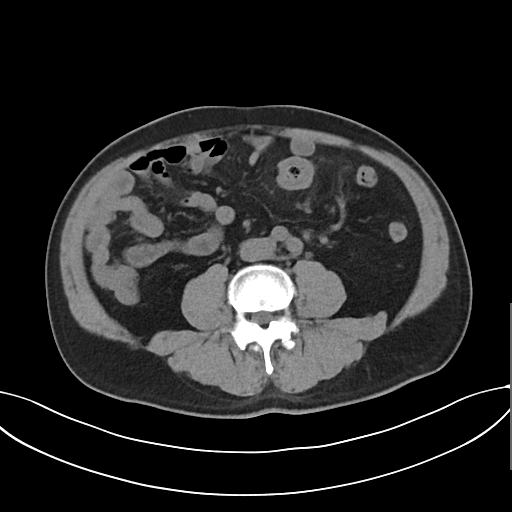
| field | value |
|---|---|
| modality | multiphase abdominal CT, liver, non-contrast phase |
| patient | male, age 58 |